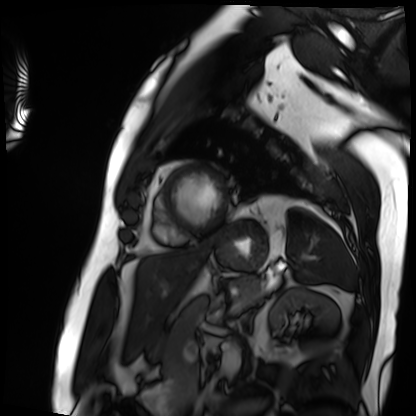
  modality: cardiac MRI
  cohort: patient